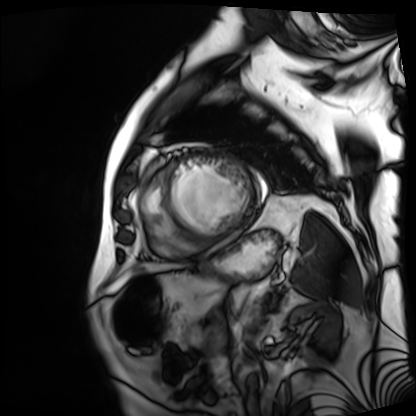
modality = cardiac MRI
subject group = patient